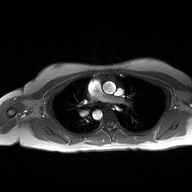
2D phase-contrast cine MRI of the ascending aorta, high-resolution GRAPPA acquisition.